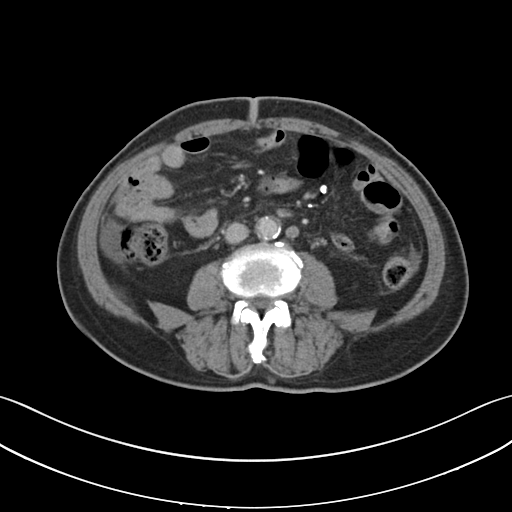
Case:
* modality — multiphase abdominal CT, liver, portal venous phase
* patient — male, age 70
* history — cirrhosis